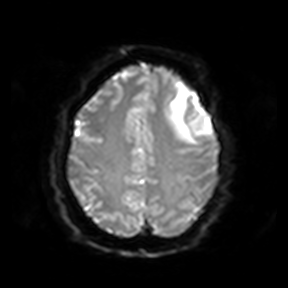
modality = 3 Tesla brain MRI | series = diffusion-weighted imaging | study = ring-enhancing brain masses.